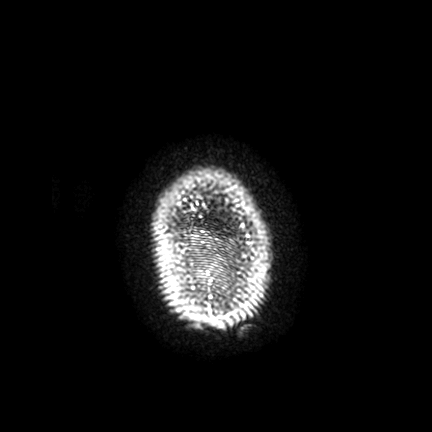
3 Tesla brain MRI. Series: FLAIR VISTA with SENSE. Study: ring-enhancing brain masses.